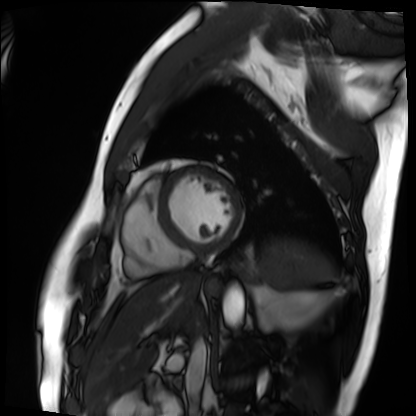
Case summary:
Cardiac MRI. Subject group: patient.